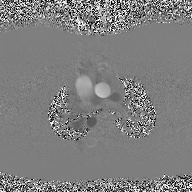
Case:
- modality · 2D phase-contrast cine MRI of the ascending aorta